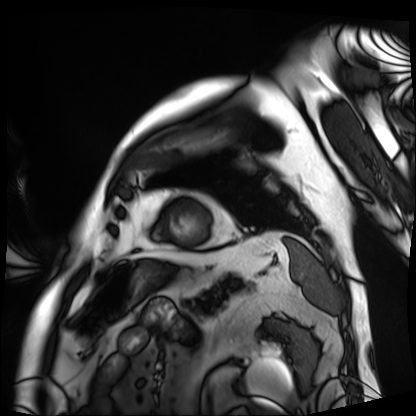
Clinical context:
Cardiac MRI. Subject group: patient.